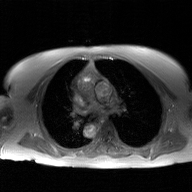
Case summary: 2D phase-contrast cine MRI of the ascending aorta, GAN super-resolution reconstruction.